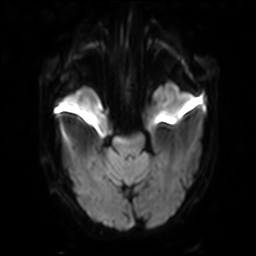
Summary: 3 Tesla brain MRI. Series: diffusion-weighted imaging with SENSE (WIP). Study: ring-enhancing brain masses.